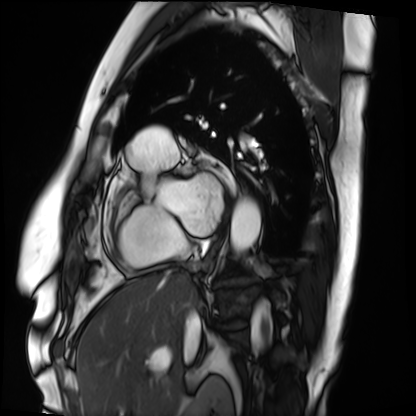
Cardiac MRI.
Subject group: patient.